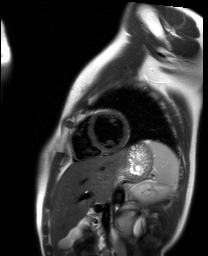
Summary:
Cardiac MR image of the myocardium. Subject cohort: healthy volunteer.